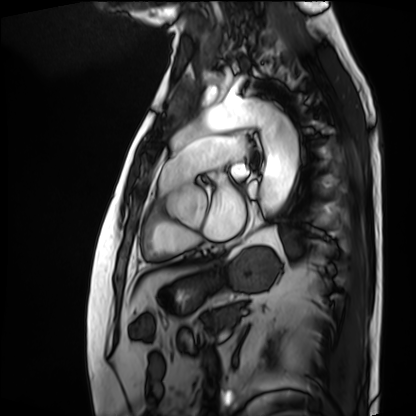
Cardiac MRI. Subject group: patient.